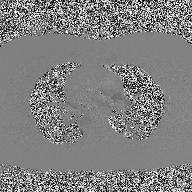
Summary: 2D phase-contrast cine MRI of the ascending aorta, high-resolution GRAPPA acquisition.